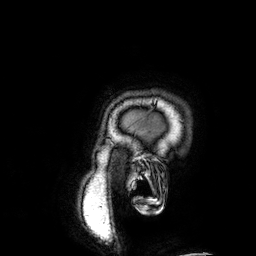
3 Tesla brain MRI. Series: 3D T1-weighted. Study: ring-enhancing brain masses.